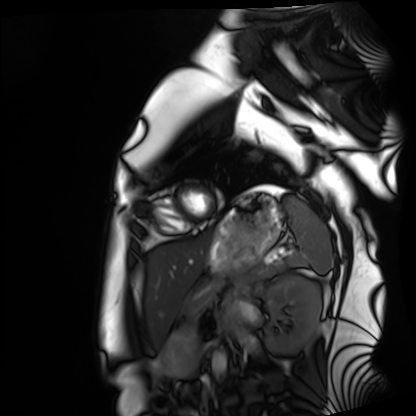
– modality — cardiac MRI
– subject group — healthy volunteer